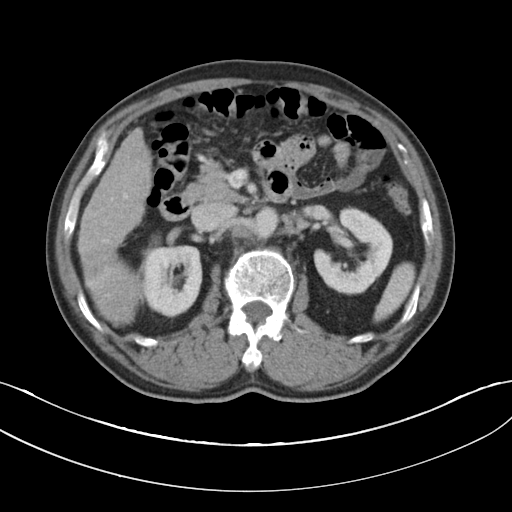
Summary:
Multiphase abdominal CT, liver, portal venous phase. Patient: male, age 62. History: cirrhosis, viral hepatitis.